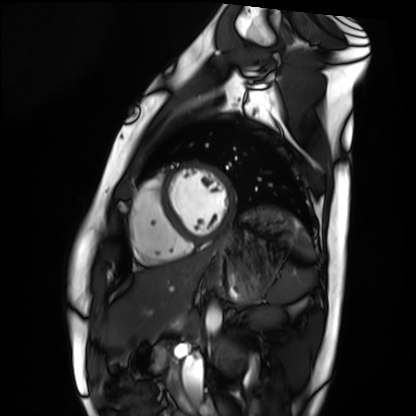
<record>
  <modality>cardiac MRI</modality>
  <cohort>healthy volunteer</cohort>
</record>